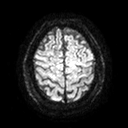
Summary: 3 Tesla brain MRI. Series: diffusion tensor imaging (medium iso). Study: ring-enhancing brain masses.